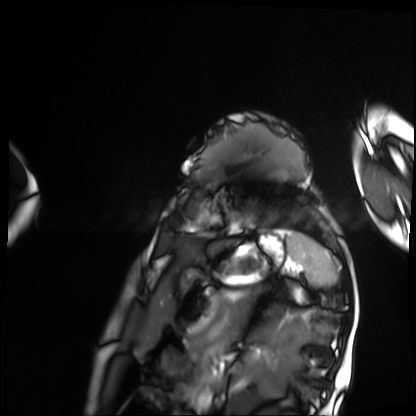
Summary: Cardiac MRI. Subject group: patient.